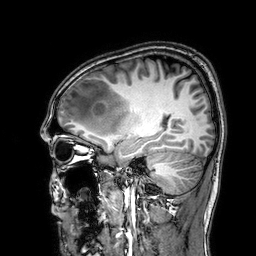
modality:
  type: brain MRI
  field_strength: 3T
series: 3D T1-weighted
study_topic: ring-enhancing brain masses